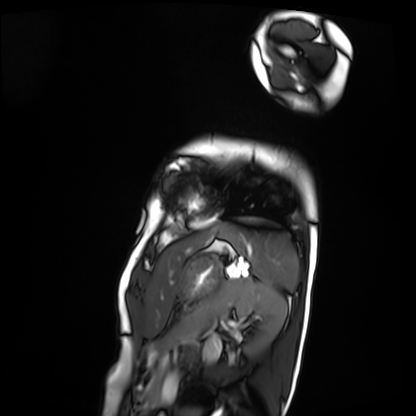
Cardiac MRI.
Subject group: patient.